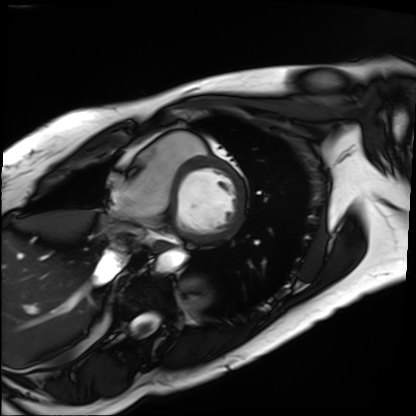
modality: cardiac MRI | subject group: patient.